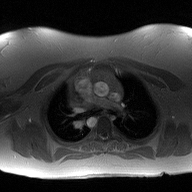
<case>
  <modality>
    <type>2D phase-contrast cine MRI</type>
    <region>ascending aorta</region>
    <reconstruction>high-resolution GRAPPA acquisition</reconstruction>
  </modality>
</case>